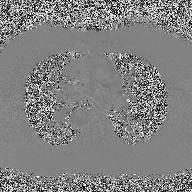
| field | value |
|---|---|
| modality | 2D phase-contrast cine MRI of the ascending aorta |